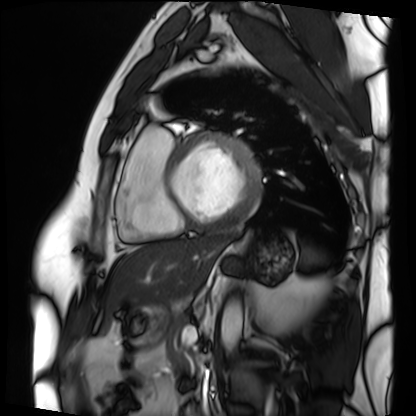
Cardiac MRI.
Subject group: patient.